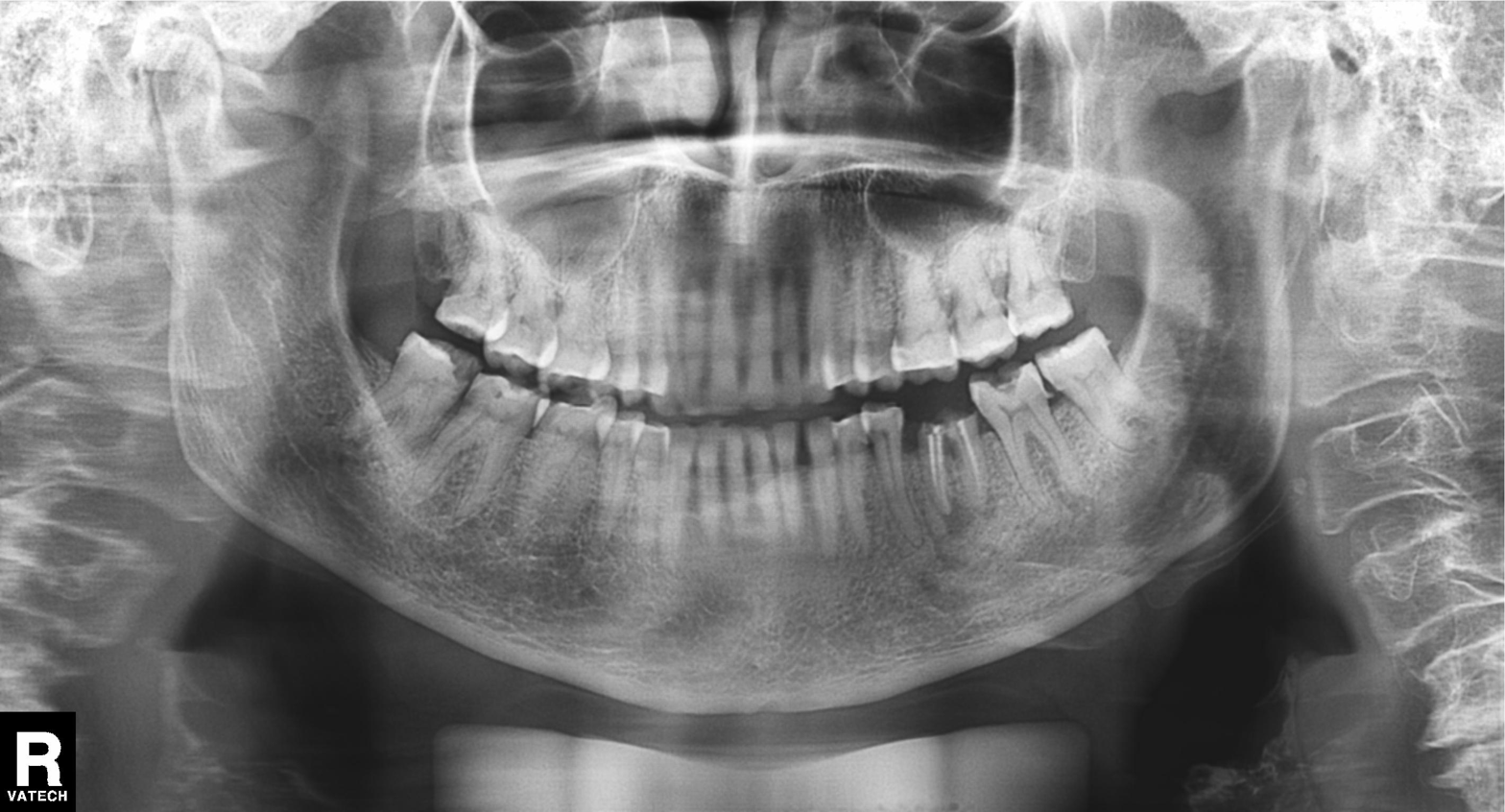
Panoramic dental radiograph (orthopantomogram). Finding: dental caries (cavities).